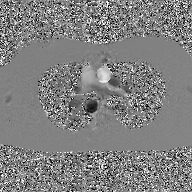
Case summary:
2D phase-contrast cine MRI of the ascending aorta, GAN super-resolution reconstruction.